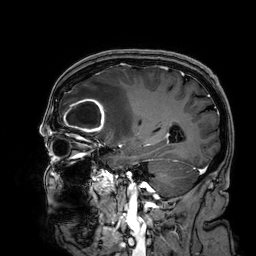
Q: What kind of scan is this?
A: 3 Tesla brain MRI.
Q: Series?
A: 3D T1-weighted.
Study: ring-enhancing brain masses.